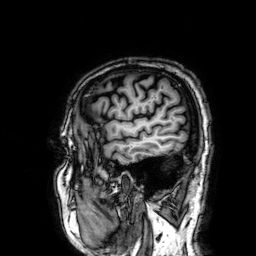
Clinical context: 3 Tesla brain MRI. Study: ring-enhancing brain masses.